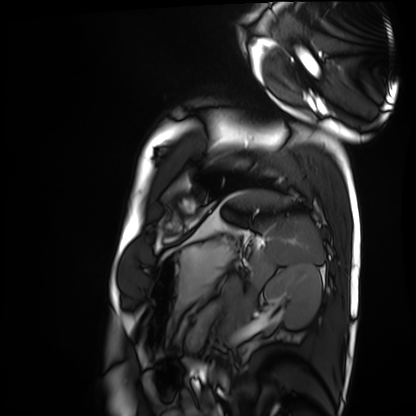
Summary: Cardiac MRI. Subject group: healthy volunteer.